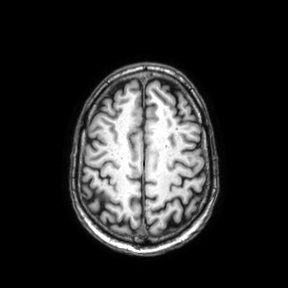
3 Tesla brain MRI. Series: axial. Study: ring-enhancing brain masses.